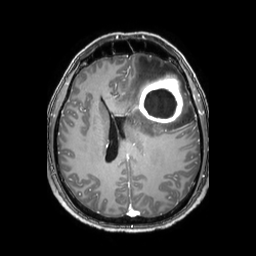
3 Tesla brain MRI. Series: 3D T1-weighted TFE with SENSE. Study: ring-enhancing brain masses.